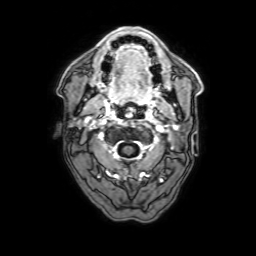
| field | value |
|---|---|
| modality | 3 Tesla brain MRI |
| series | 3D T1-weighted with SENSE |
| study | ring-enhancing brain masses |